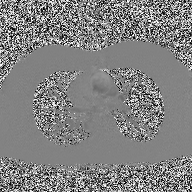
modality:
  type: 2D phase-contrast cine MRI
  region: ascending aorta
  reconstruction: high-resolution GRAPPA acquisition